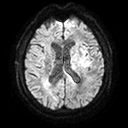
Case summary:
3 Tesla brain MRI. Series: diffusion tensor imaging (medium iso). Study: ring-enhancing brain masses.